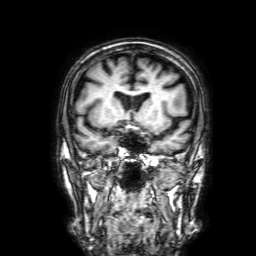
3 Tesla brain MRI.
Study: ring-enhancing brain masses.